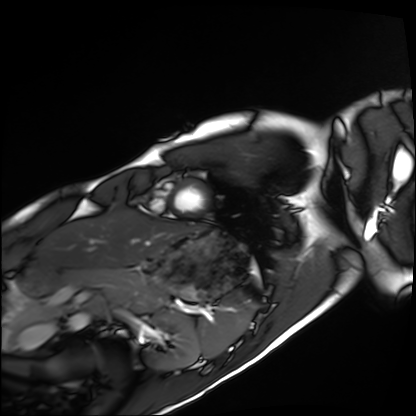
Summary:
Cardiac MRI. Subject group: healthy volunteer.